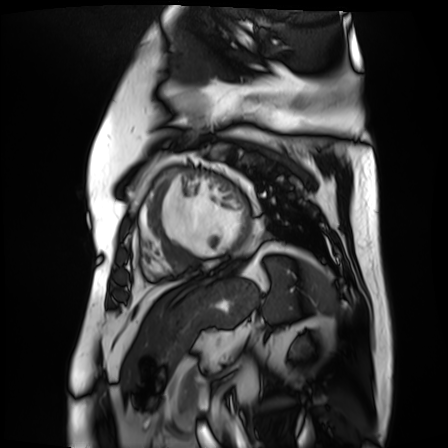
Q: What kind of scan is this?
A: Cardiac MR image of the myocardium.
Subject cohort: cardiac patient.